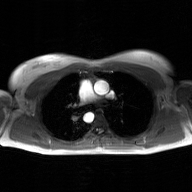
modality: 2D phase-contrast cine MRI of the ascending aorta, GAN super-resolution reconstruction